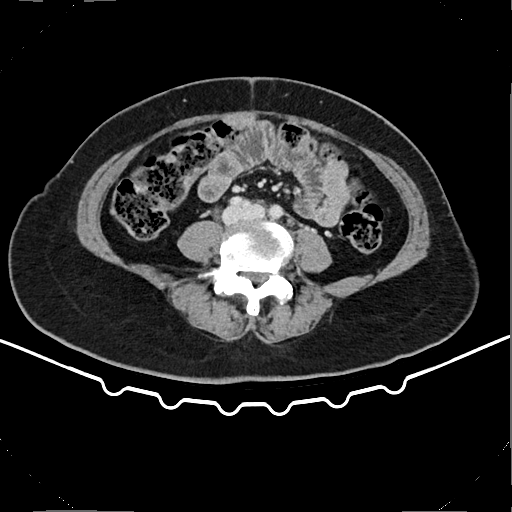
modality — multiphase abdominal CT, liver, delayed phase